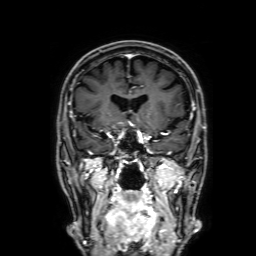
modality: 3 Tesla brain MRI
series: 3D T1-weighted with SENSE
study: ring-enhancing brain masses